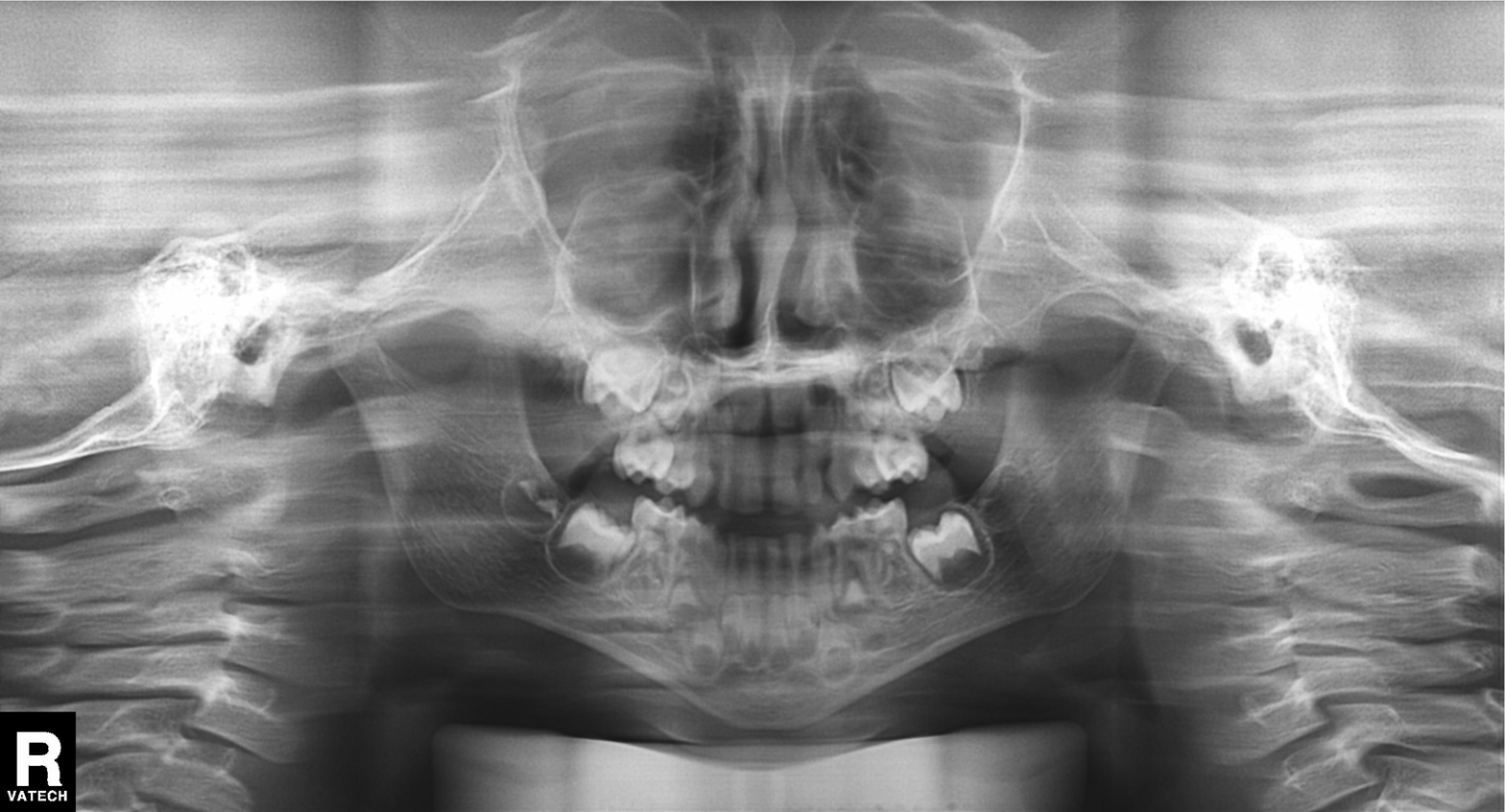
Q: What kind of scan is this?
A: Panoramic dental radiograph (orthopantomogram).
Q: What is the radiographic finding?
A: Alveolar bone loss.